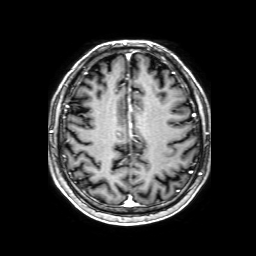
3 Tesla brain MRI.
Series: 3D T1-weighted with SENSE.
Study: ring-enhancing brain masses.